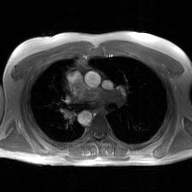
2D phase-contrast cine MRI of the ascending aorta, GAN super-resolution reconstruction.